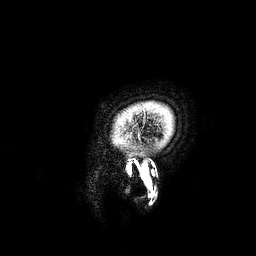
3 Tesla brain MRI.
Series: 3D T1-weighted.
Study: ring-enhancing brain masses.